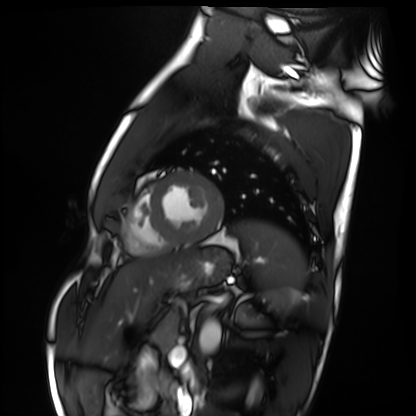
Summary: Cardiac MRI. Subject group: healthy volunteer.